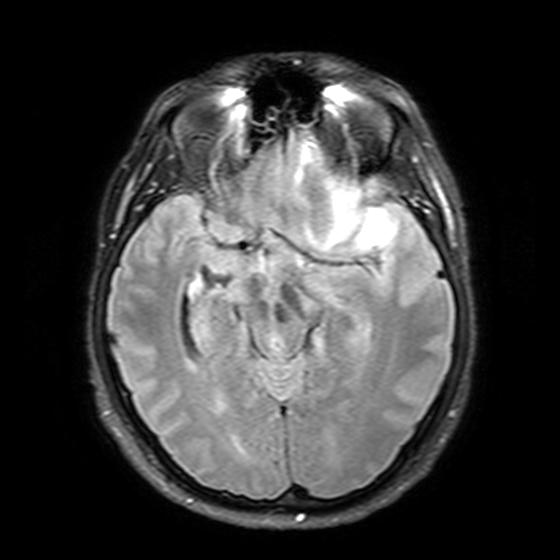
modality: 3 Tesla brain MRI
series: T2-weighted FLAIR
study: ring-enhancing brain masses